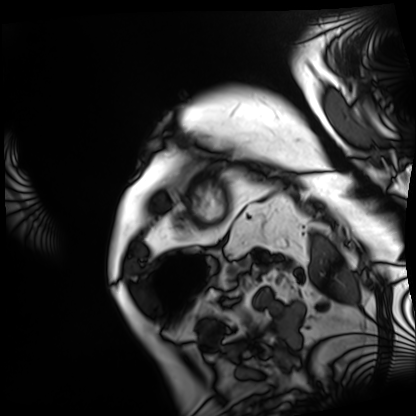
modality=cardiac MRI
subject group=patient